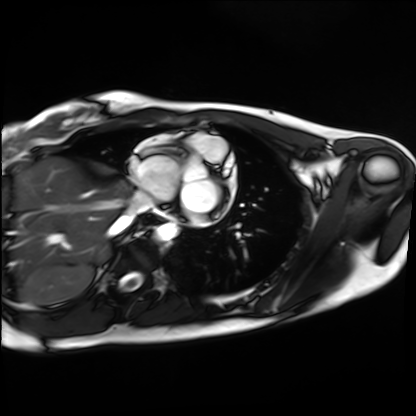
Cardiac MRI. Subject group: healthy volunteer.